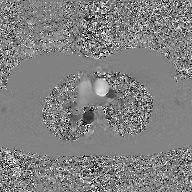
2D phase-contrast cine MRI of the ascending aorta, GAN super-resolution reconstruction.